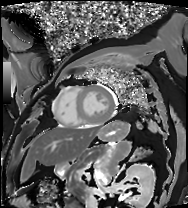
Q: What kind of scan is this?
A: Cardiac MRI.
Subject group: patient.